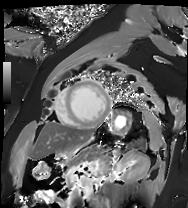
Cardiac MRI.
Subject group: patient.